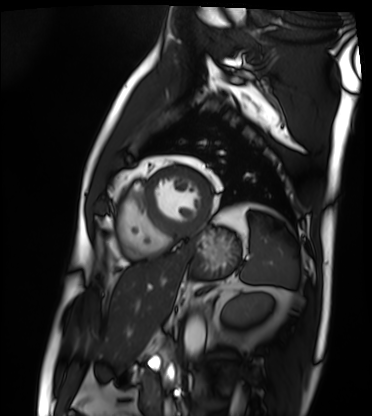
– modality · cardiac MRI
– subject group · patient